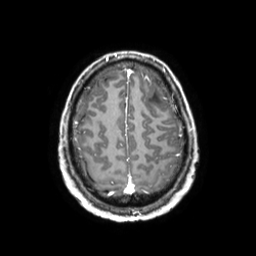
3 Tesla brain MRI. Series: 3D T1-weighted TFE with SENSE. Study: ring-enhancing brain masses.